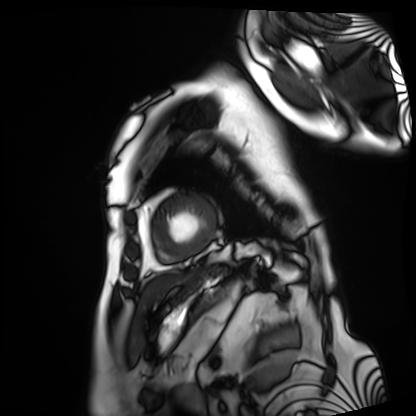
Summary:
Cardiac MRI. Subject group: patient.